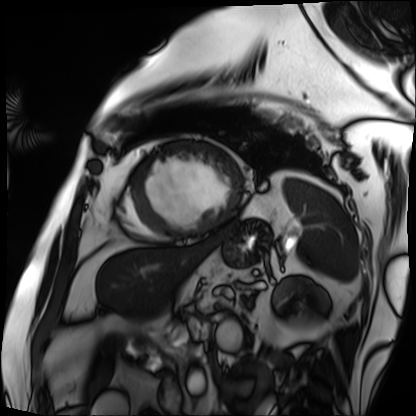
Cardiac MRI. Subject group: patient.